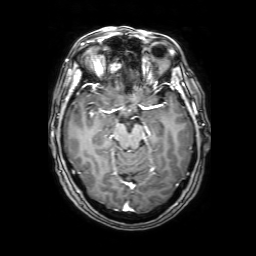
3 Tesla brain MRI.
Series: 3D T1-weighted with SENSE.
Study: ring-enhancing brain masses.